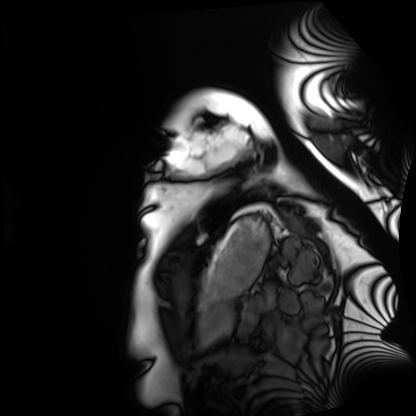
Cardiac MRI. Subject group: healthy volunteer.